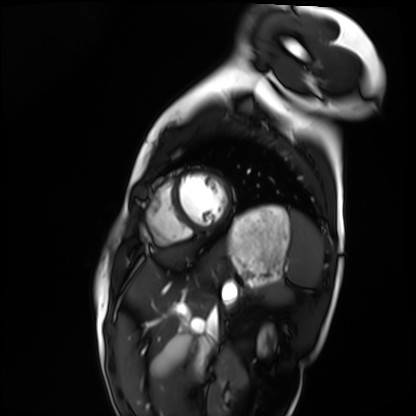
modality = cardiac MRI; subject group = healthy volunteer.